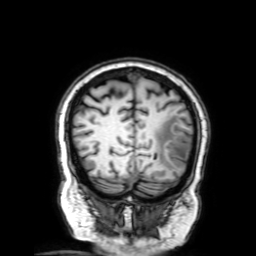
{
  "modality": {
    "type": "brain MRI",
    "field_strength": "3T"
  },
  "series": "3D T1-weighted with SENSE",
  "study_topic": "ring-enhancing brain masses"
}